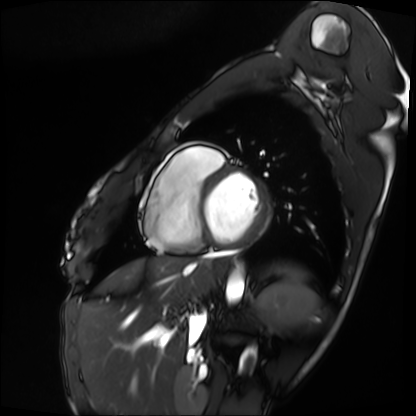
– modality · cardiac MRI
– subject group · patient